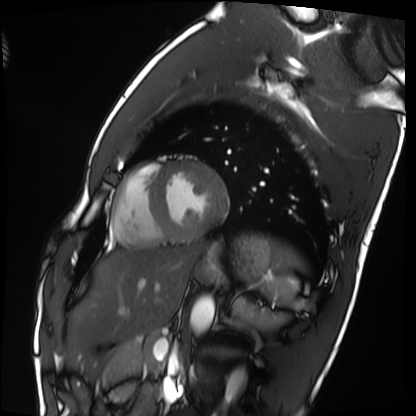
  modality: cardiac MRI
  cohort: healthy volunteer